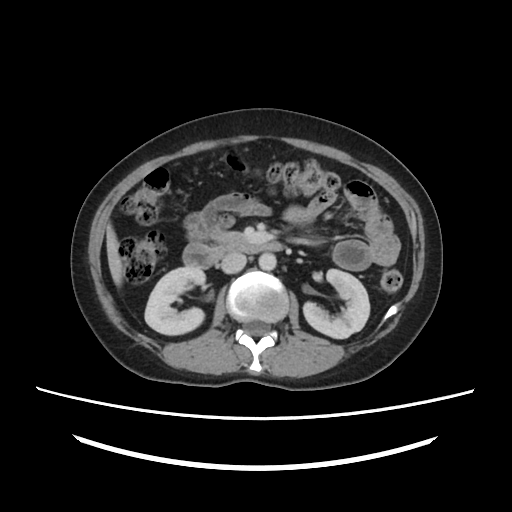
modality=multiphase abdominal CT, liver, portal venous phase; patient=female, age 39.